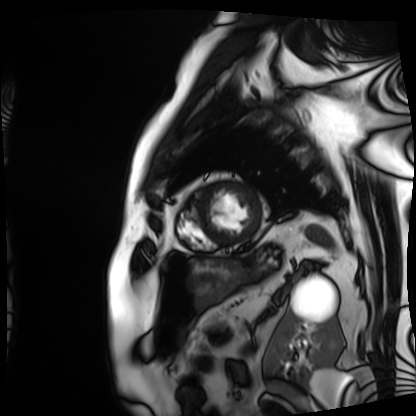
modality = cardiac MRI
subject group = patient